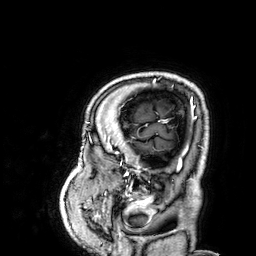
modality: 3 Tesla brain MRI
series: 3D T1-weighted
study: ring-enhancing brain masses